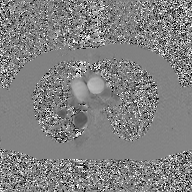
Case:
* modality: 2D phase-contrast cine MRI of the ascending aorta, GAN super-resolution reconstruction